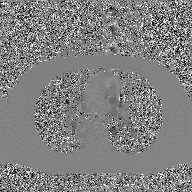
2D phase-contrast cine MRI of the ascending aorta, GAN super-resolution reconstruction.